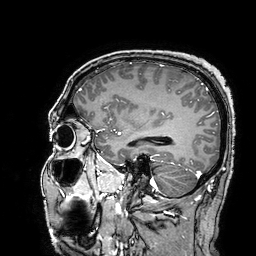
3 Tesla brain MRI.
Series: 3D T1-weighted turbo field echo with SENSE.
Study: ring-enhancing brain masses.